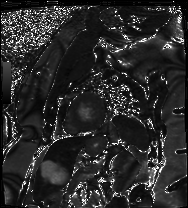
{
  "modality": "cardiac MRI",
  "cohort": "patient"
}